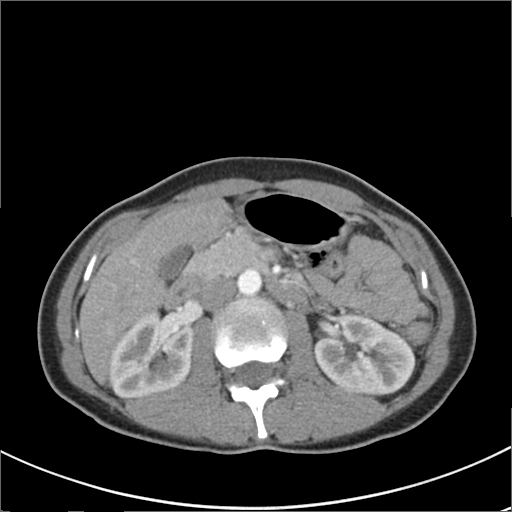
Case:
– modality: multiphase abdominal CT, liver, arterial phase
– patient: female, age 36